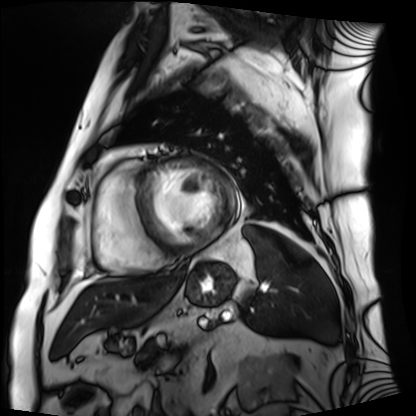
Summary: Cardiac MRI. Subject group: patient.